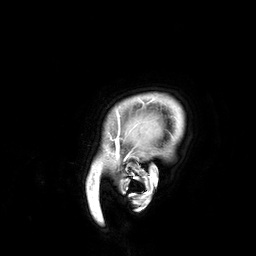
3 Tesla brain MRI.
Study: ring-enhancing brain masses.